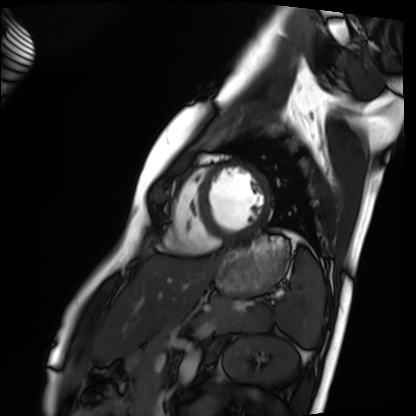
Case:
- modality — cardiac MRI
- subject group — healthy volunteer